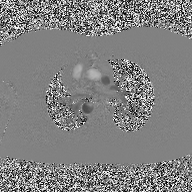
<case>
<modality>
  <type>2D phase-contrast cine MRI</type>
  <region>ascending aorta</region>
  <reconstruction>high-resolution GRAPPA acquisition</reconstruction>
</modality>
</case>